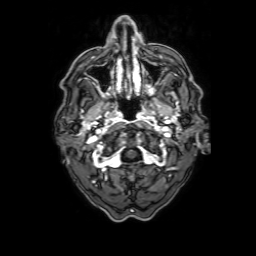
Q: What kind of scan is this?
A: 3 Tesla brain MRI.
Study: ring-enhancing brain masses.